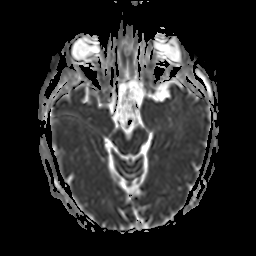
Q: What kind of scan is this?
A: 3 Tesla brain MRI.
Q: Series?
A: Apparent diffusion coefficient (ADC) map.
Study: ring-enhancing brain masses.